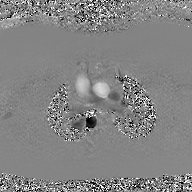
2D phase-contrast cine MRI of the ascending aorta, GAN super-resolution reconstruction.